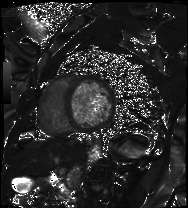
<study>
  <modality>cardiac MRI</modality>
  <cohort>patient</cohort>
</study>